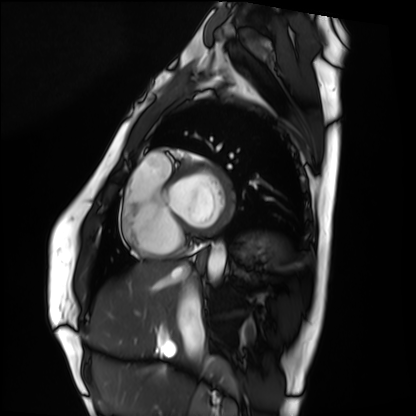
Q: What kind of scan is this?
A: Cardiac MRI.
Subject group: healthy volunteer.